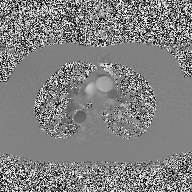
modality: 2D phase-contrast cine MRI of the ascending aorta.